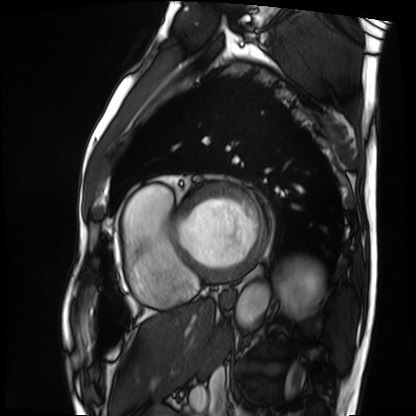
Cardiac MRI.
Subject group: patient.